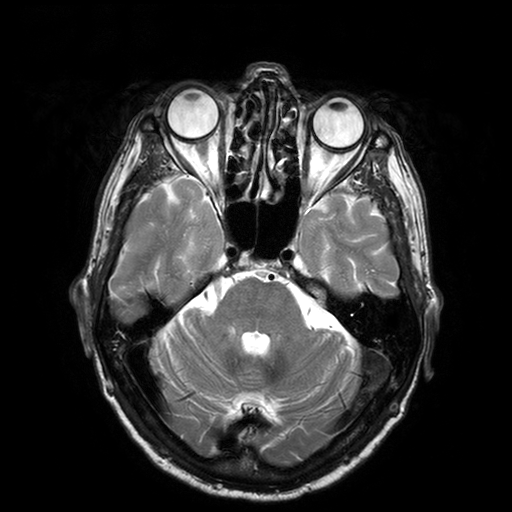
Summary: 3 Tesla brain MRI. Series: T2-weighted turbo spin echo with SENSE. Study: ring-enhancing brain masses.